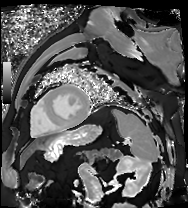
Cardiac MR image of the myocardium.
Subject cohort: cardiac patient.